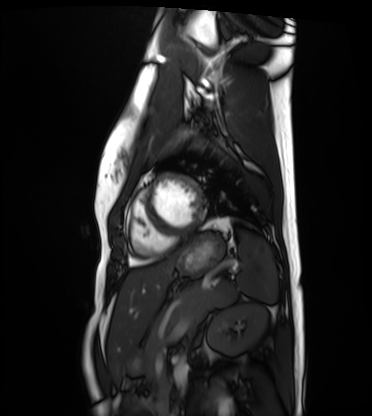
Cardiac MRI. Subject group: healthy volunteer.